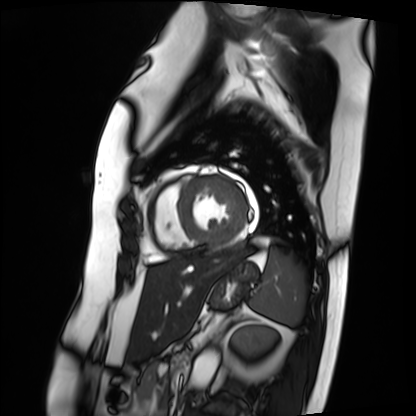
– modality · cardiac MRI
– subject group · patient